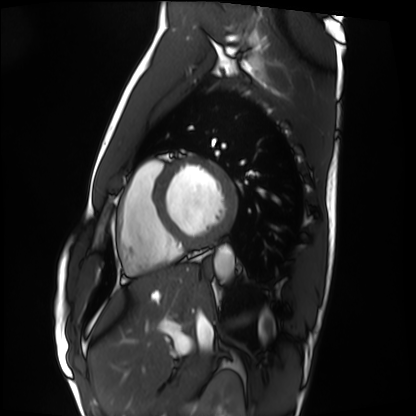
Cardiac MRI.
Subject group: healthy volunteer.